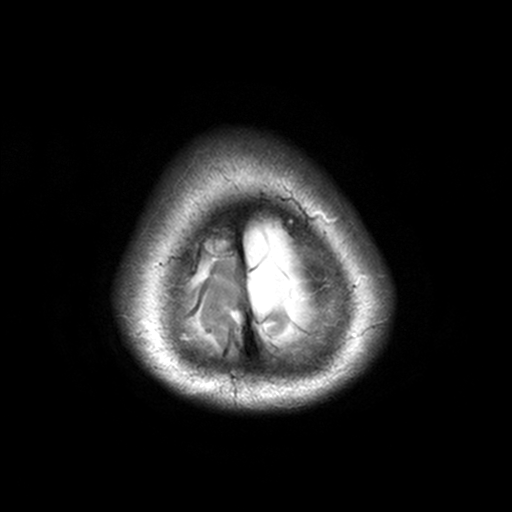
– modality: 3 Tesla brain MRI
– series: T2-weighted turbo spin echo, 3 mm
– study: ring-enhancing brain masses